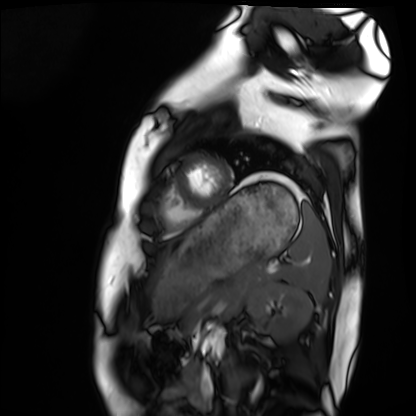
Q: What kind of scan is this?
A: Cardiac MRI.
Subject group: healthy volunteer.